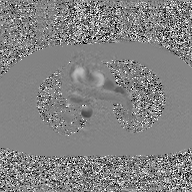
Case summary: 2D phase-contrast cine MRI of the ascending aorta, GAN super-resolution reconstruction.